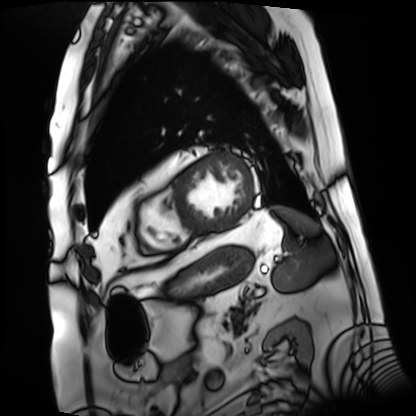
<record>
<modality>cardiac MRI</modality>
<cohort>patient</cohort>
</record>